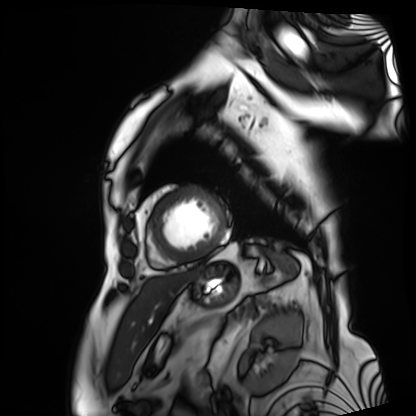
Clinical context:
Cardiac MRI. Subject group: patient.